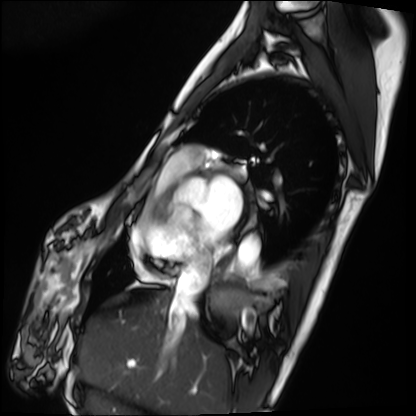
Cardiac MRI.
Subject group: patient.